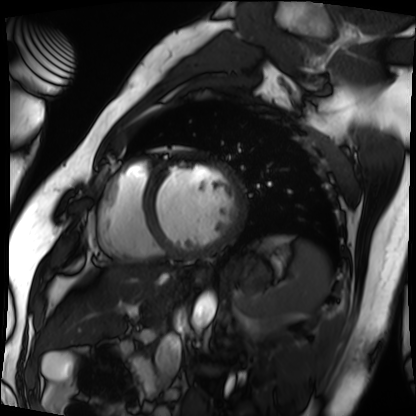
Cardiac MRI. Subject group: patient.